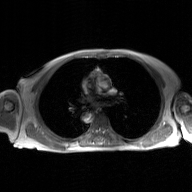
2D phase-contrast cine MRI of the ascending aorta, GAN super-resolution reconstruction.